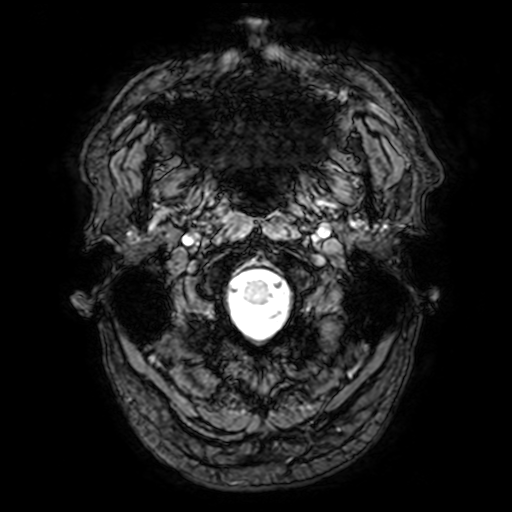
3 Tesla brain MRI. Series: T2-weighted fast field echo with SENSE. Study: ring-enhancing brain masses.